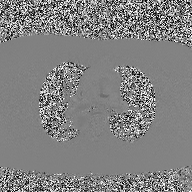
2D phase-contrast cine MRI of the ascending aorta, high-resolution GRAPPA acquisition.